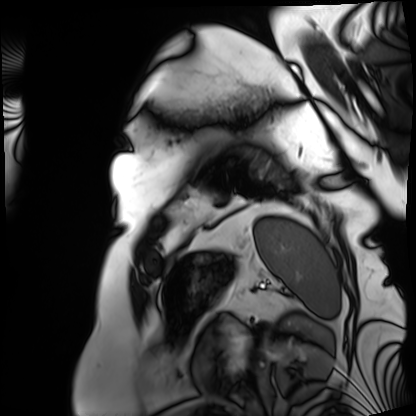
Cardiac MRI. Subject group: patient.